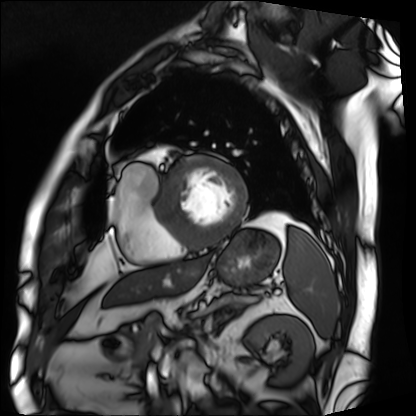
Summary:
Cardiac MRI. Subject group: patient.